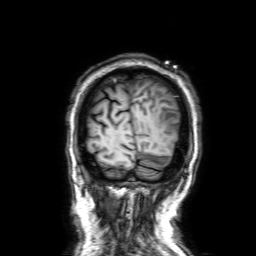
modality = 3 Tesla brain MRI; series = 3D T1-weighted with SENSE; study = ring-enhancing brain masses.